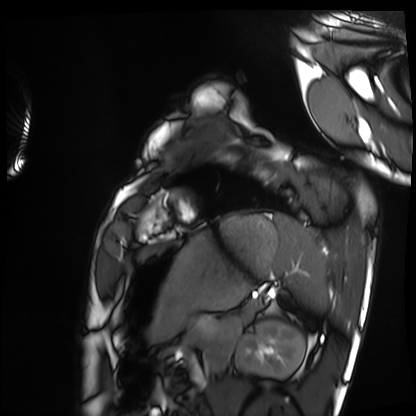
modality = cardiac MRI, subject group = healthy volunteer.